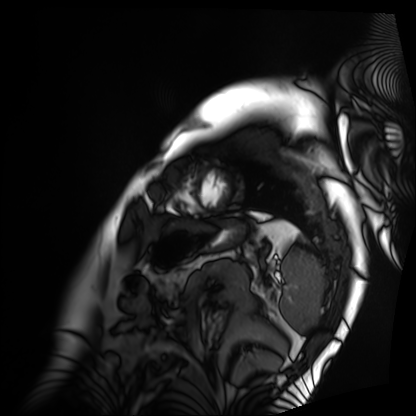
Case summary: Cardiac MRI. Subject group: patient.